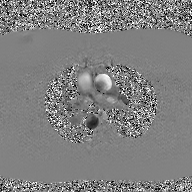
modality = 2D phase-contrast cine MRI of the ascending aorta, GAN super-resolution reconstruction.